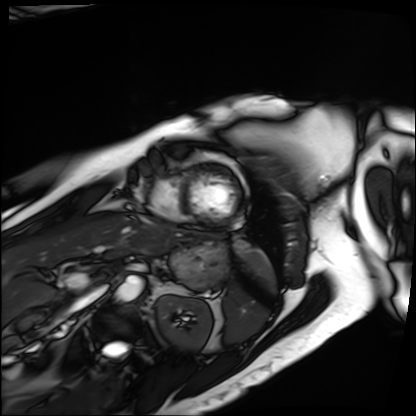
Cardiac MRI. Subject group: patient.